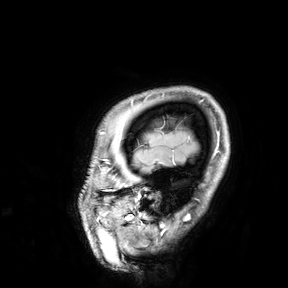
3 Tesla brain MRI. Study: ring-enhancing brain masses.